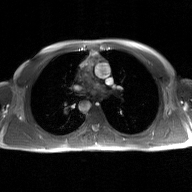
Clinical context: 2D phase-contrast cine MRI of the ascending aorta, GAN super-resolution reconstruction.